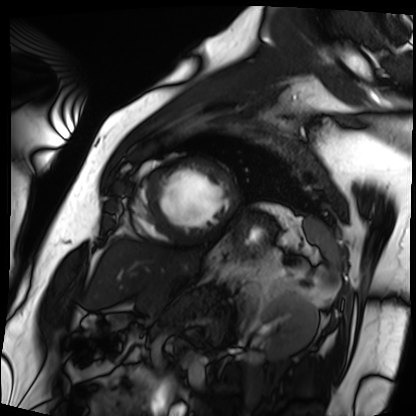
Cardiac MRI. Subject group: patient.